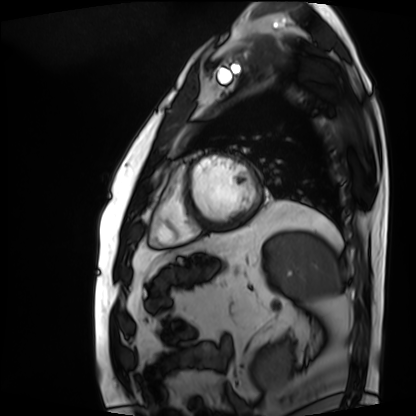
modality=cardiac MRI
subject group=patient